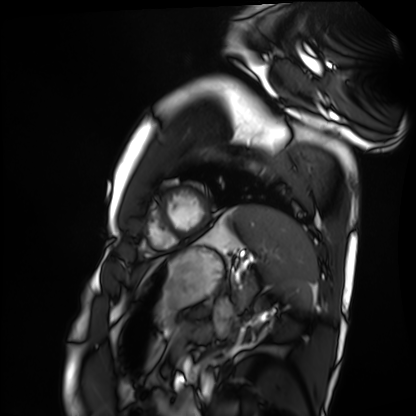
{"modality": "cardiac MRI", "cohort": "healthy volunteer"}